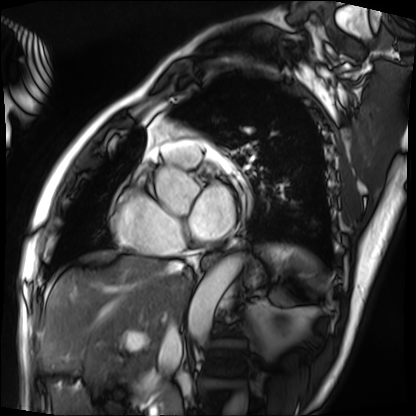
Clinical context:
Cardiac MRI. Subject group: patient.